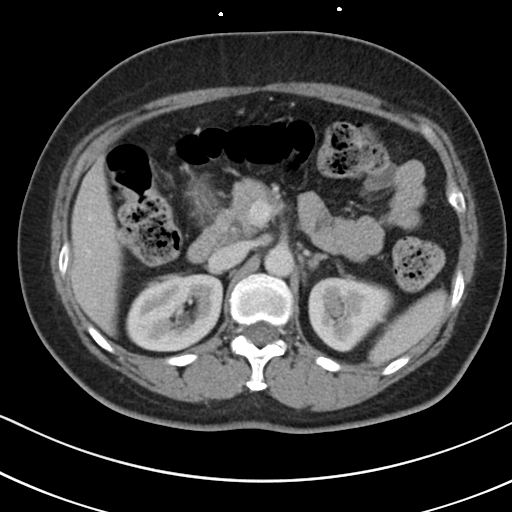
Multiphase abdominal CT, liver, portal venous phase.
Patient: female, age 55.
History: prior chemotherapy.